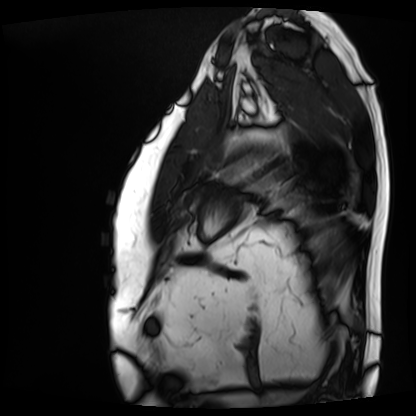
Q: What kind of scan is this?
A: Cardiac MRI.
Subject group: patient.